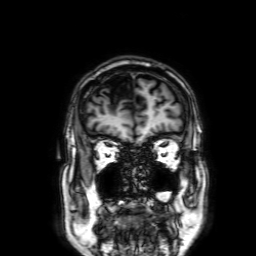
modality — 3 Tesla brain MRI
series — 3D T1-weighted with SENSE
study — ring-enhancing brain masses